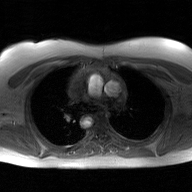
2D phase-contrast cine MRI of the ascending aorta, GAN super-resolution reconstruction.